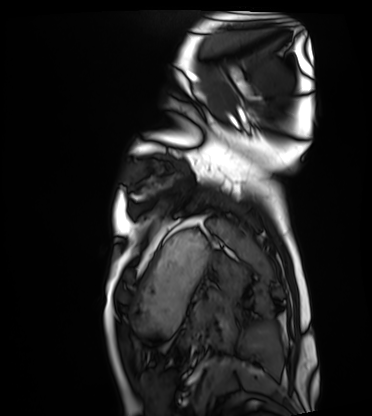
Cardiac MRI.
Subject group: healthy volunteer.